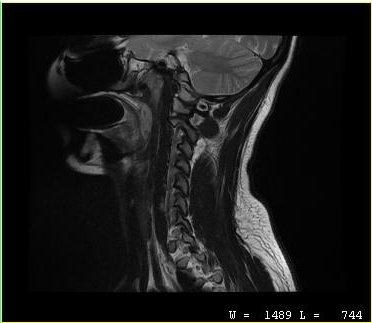
modality=MRI of the cervical spine; study=cervical spondylosis.